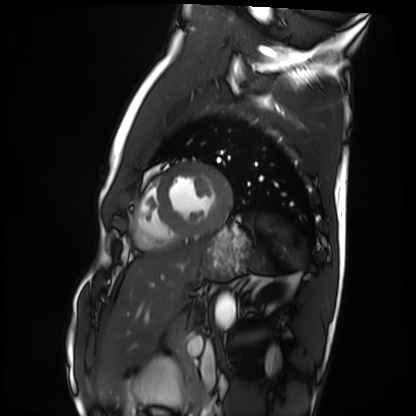
Case summary:
Cardiac MRI. Subject group: healthy volunteer.